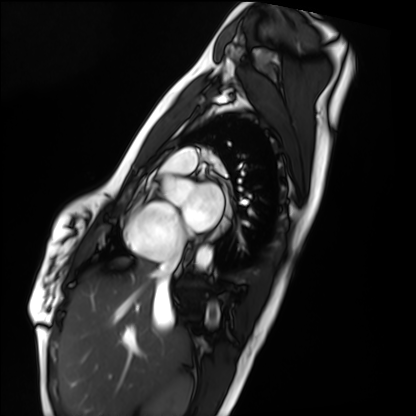
Cardiac MRI.
Subject group: healthy volunteer.